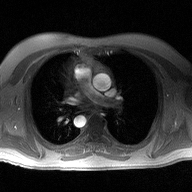
* modality · 2D phase-contrast cine MRI of the ascending aorta